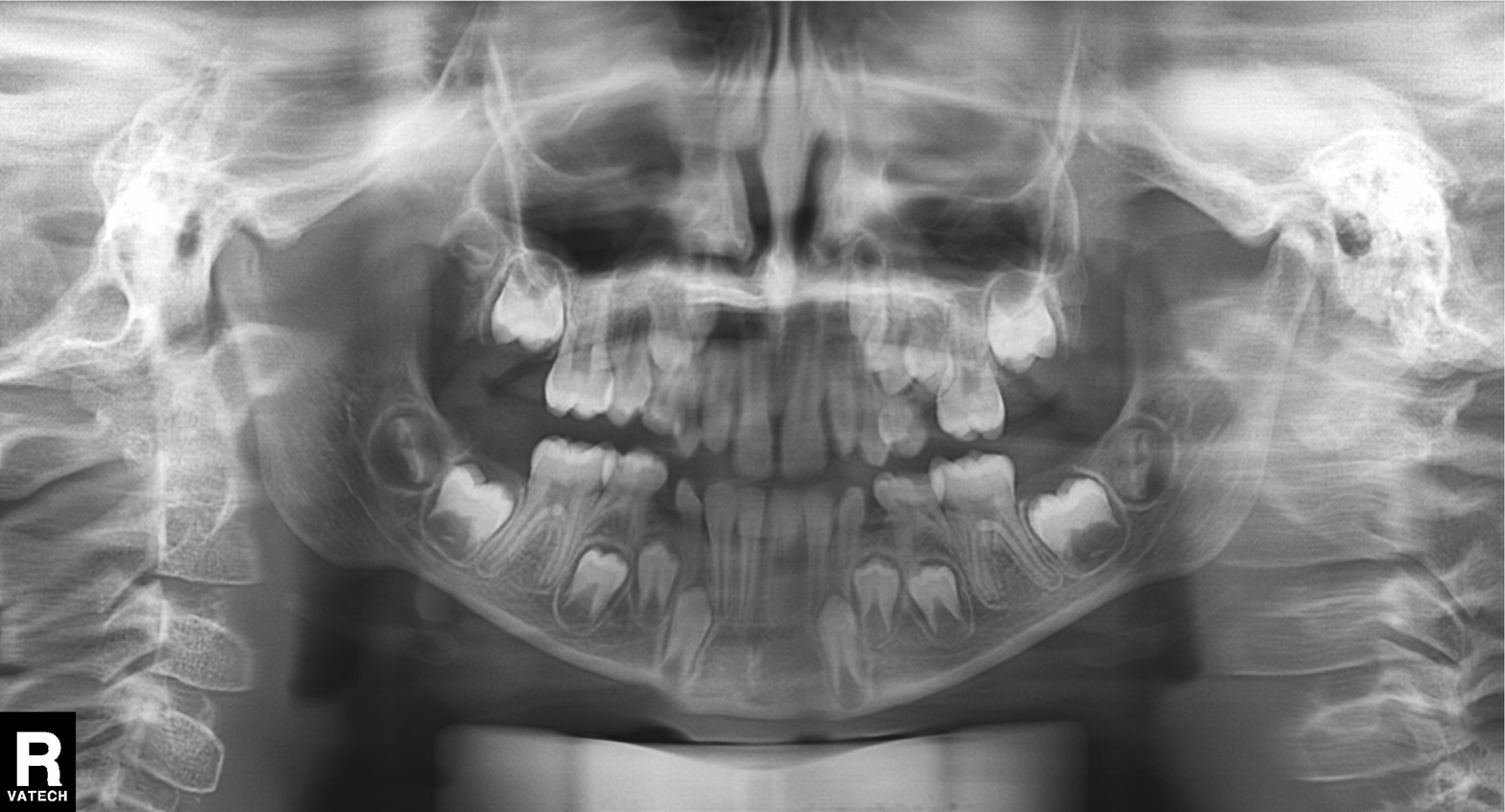
modality = panoramic dental radiograph (orthopantomogram), finding = alveolar bone loss.